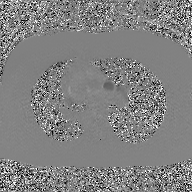
Q: What kind of scan is this?
A: 2D phase-contrast cine MRI of the ascending aorta, GAN super-resolution reconstruction.